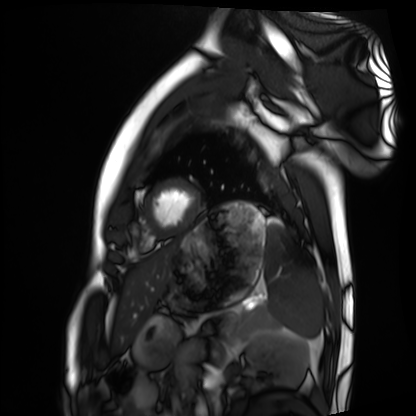
<record>
<modality>cardiac MRI</modality>
<cohort>healthy volunteer</cohort>
</record>